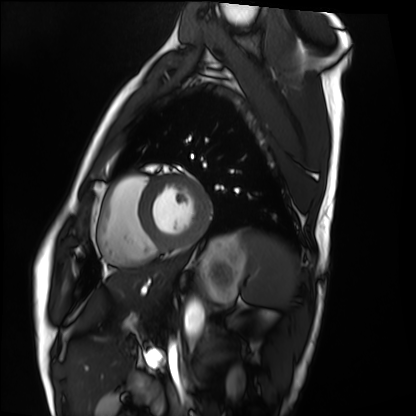
Summary: Cardiac MRI. Subject group: healthy volunteer.